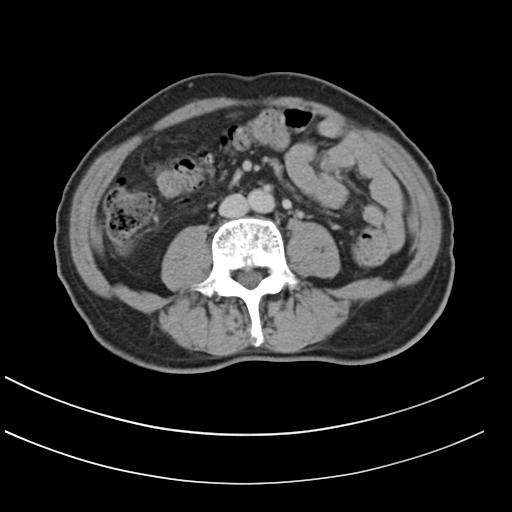
• modality — multiphase abdominal CT, liver, delayed phase
• patient — male, age 72